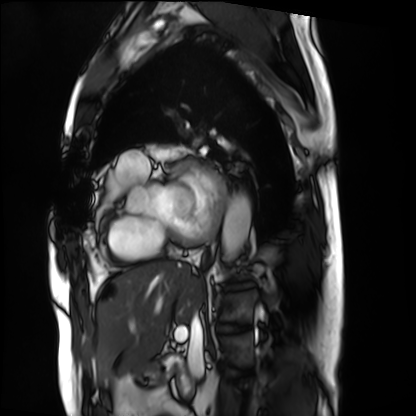
• modality: cardiac MRI
• subject group: patient